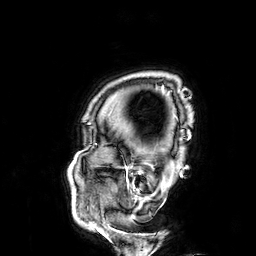
* modality · 3 Tesla brain MRI
* series · 3D T1-weighted
* study · ring-enhancing brain masses